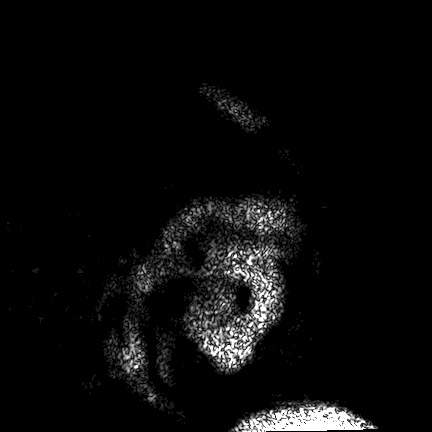
3 Tesla brain MRI.
Series: FLAIR VISTA.
Study: ring-enhancing brain masses.